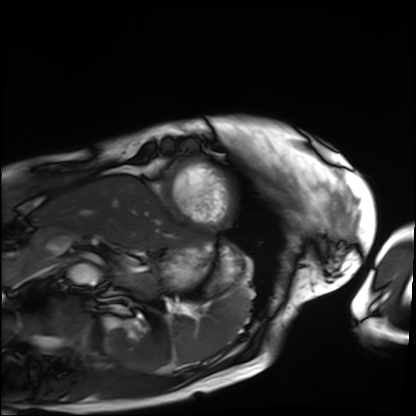
Q: What kind of scan is this?
A: Cardiac MRI.
Subject group: patient.